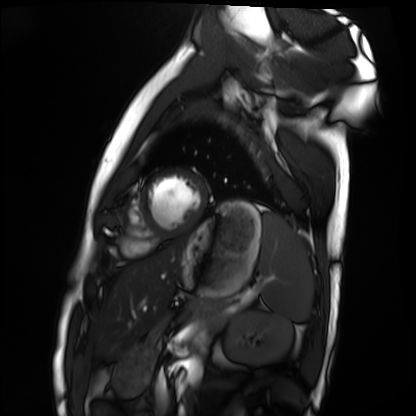
Case:
* modality: cardiac MRI
* subject group: healthy volunteer